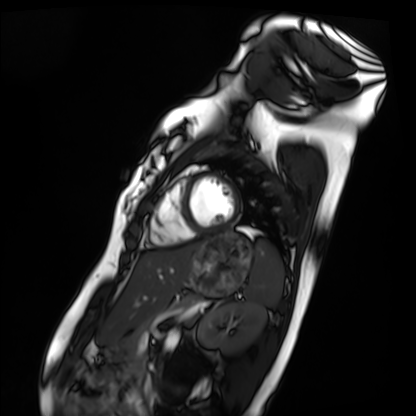
modality = cardiac MRI, subject group = healthy volunteer.